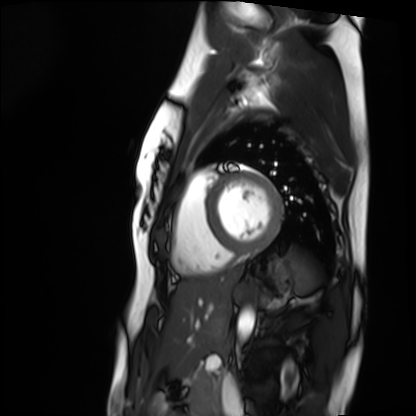
<study>
  <modality>cardiac MRI</modality>
  <cohort>healthy volunteer</cohort>
</study>